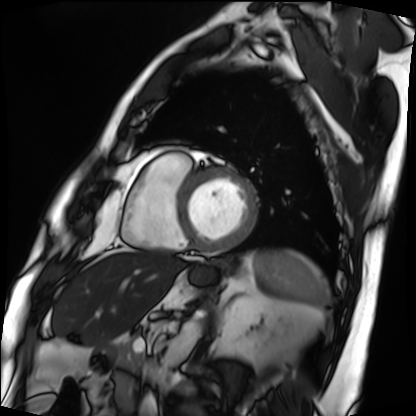
modality = cardiac MRI; subject group = patient.